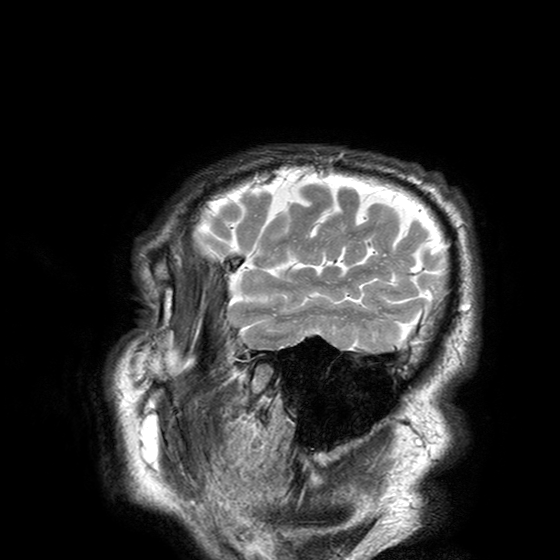
modality = 3 Tesla brain MRI; series = T2-weighted turbo spin echo with SENSE; study = ring-enhancing brain masses.